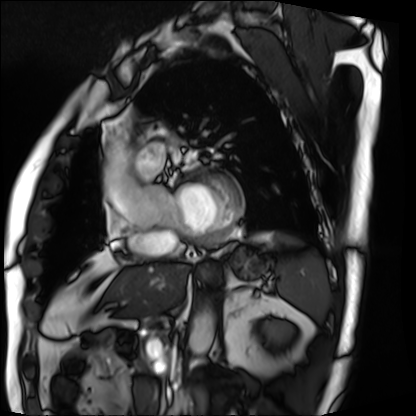
| field | value |
|---|---|
| modality | cardiac MRI |
| subject group | patient |